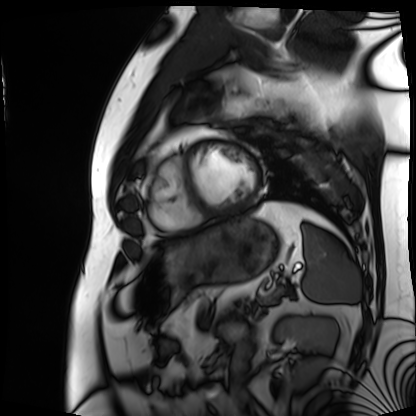
Cardiac MRI. Subject group: patient.